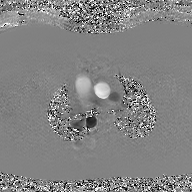
2D phase-contrast cine MRI of the ascending aorta, GAN super-resolution reconstruction.